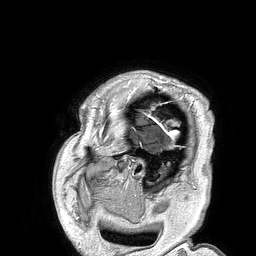
3 Tesla brain MRI.
Series: 3D T1-weighted turbo field echo.
Study: ring-enhancing brain masses.